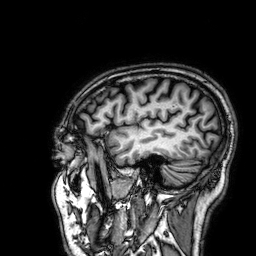
| field | value |
|---|---|
| modality | 3 Tesla brain MRI |
| series | 3D T1-weighted |
| study | ring-enhancing brain masses |